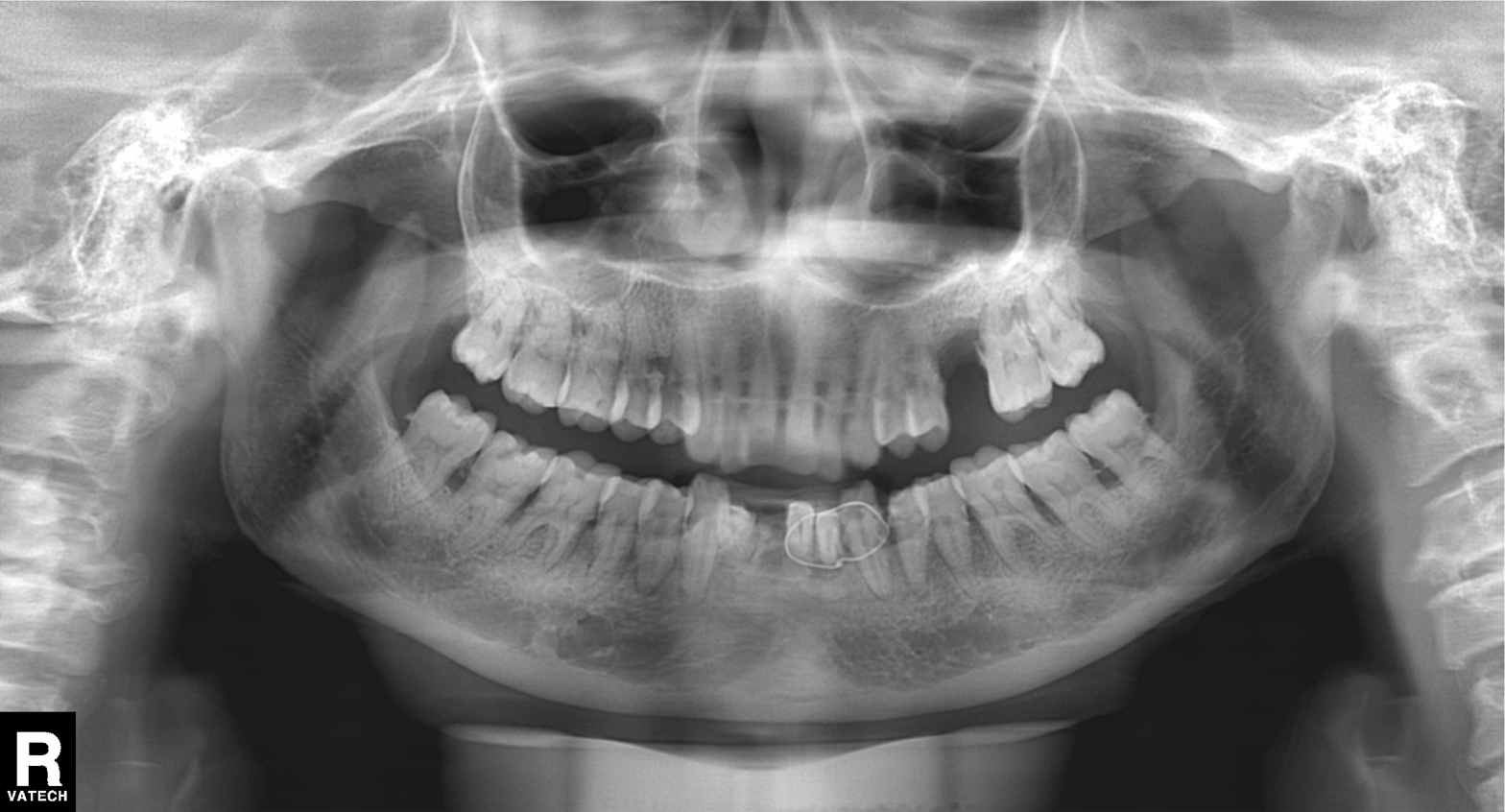
Q: What kind of scan is this?
A: Panoramic dental radiograph (orthopantomogram).
Q: What is the radiographic finding?
A: Tooth impaction.